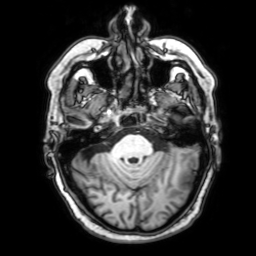
modality = 3 Tesla brain MRI | series = 3D T1-weighted with SENSE | study = ring-enhancing brain masses.